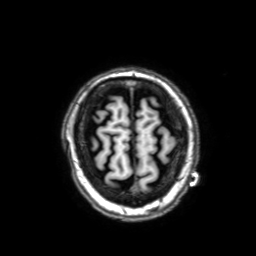
3 Tesla brain MRI. Series: 3D T1-weighted with SENSE. Study: ring-enhancing brain masses.